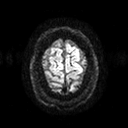
3 Tesla brain MRI. Study: ring-enhancing brain masses.